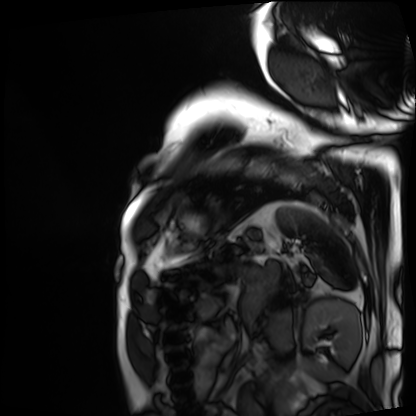
Cardiac MRI. Subject group: patient.